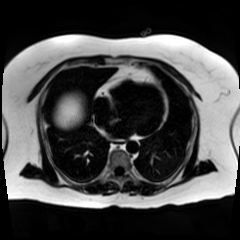
Summary: Chemical-shift-encoded cardiac MRI.